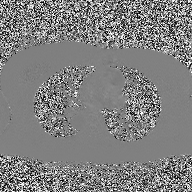
2D phase-contrast cine MRI of the ascending aorta, high-resolution GRAPPA acquisition.